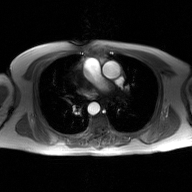
Q: What kind of scan is this?
A: 2D phase-contrast cine MRI of the ascending aorta, GAN super-resolution reconstruction.